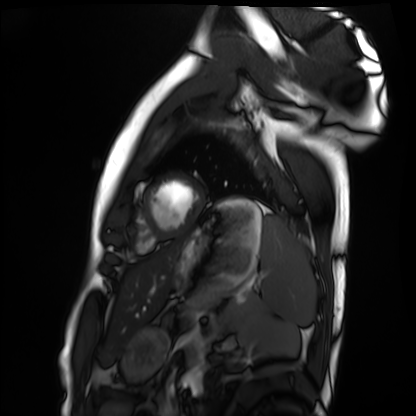
Cardiac MRI. Subject group: healthy volunteer.